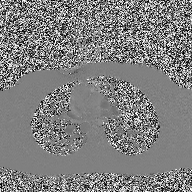
Case summary:
2D phase-contrast cine MRI of the ascending aorta, high-resolution GRAPPA acquisition.